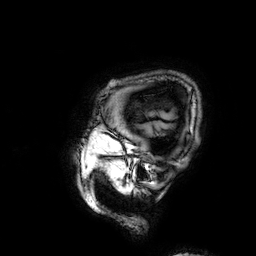
modality: 3 Tesla brain MRI | series: 3D T1-weighted | study: ring-enhancing brain masses.